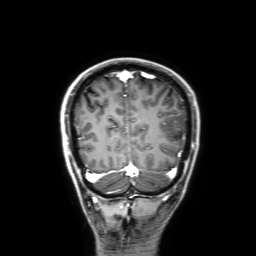
– modality — 3 Tesla brain MRI
– series — 3D T1-weighted with SENSE
– study — ring-enhancing brain masses